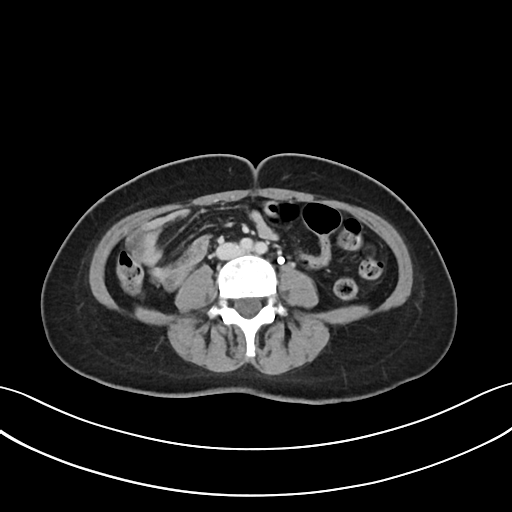
Summary:
Multiphase abdominal CT, liver, delayed phase.